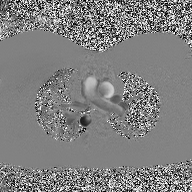
{"modality": {"type": "2D phase-contrast cine MRI", "region": "ascending aorta", "reconstruction": "high-resolution GRAPPA acquisition"}}